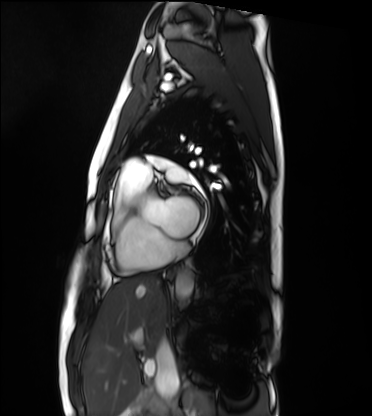
Summary: Cardiac MRI. Subject group: healthy volunteer.